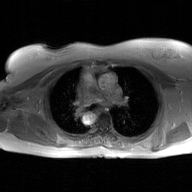
Summary:
2D phase-contrast cine MRI of the ascending aorta, GAN super-resolution reconstruction.